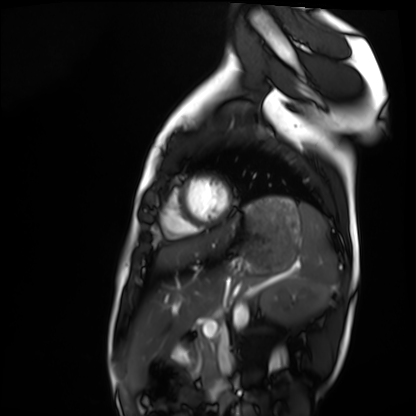
modality — cardiac MRI | subject group — healthy volunteer.